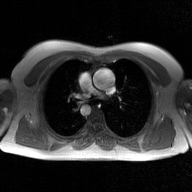
2D phase-contrast cine MRI of the ascending aorta, GAN super-resolution reconstruction.